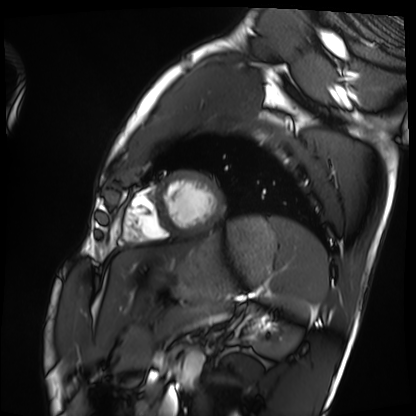
Summary: Cardiac MRI. Subject group: healthy volunteer.